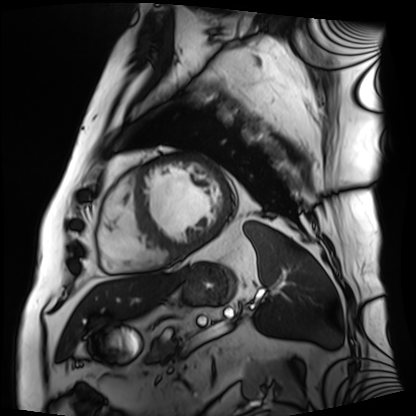
Cardiac MRI.
Subject group: patient.